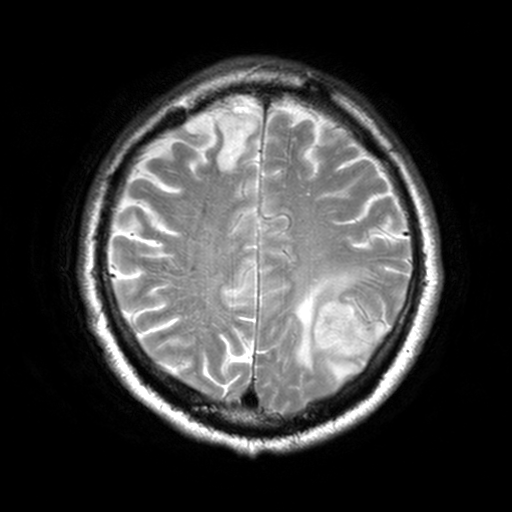
modality = 3 Tesla brain MRI; series = T2-weighted turbo spin echo, 3 mm; study = ring-enhancing brain masses.